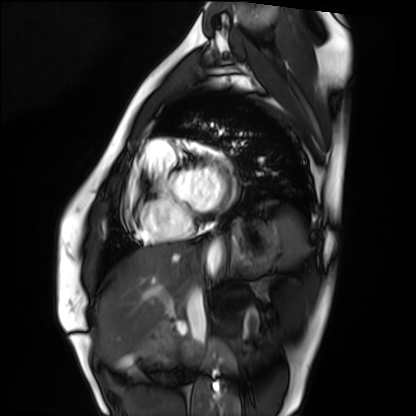
Summary:
Cardiac MRI. Subject group: healthy volunteer.